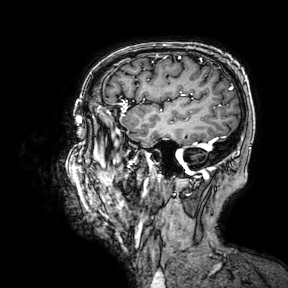
{"modality": {"type": "brain MRI", "field_strength": "3T"}, "series": "3D T1-weighted turbo field echo with SENSE", "study_topic": "ring-enhancing brain masses"}